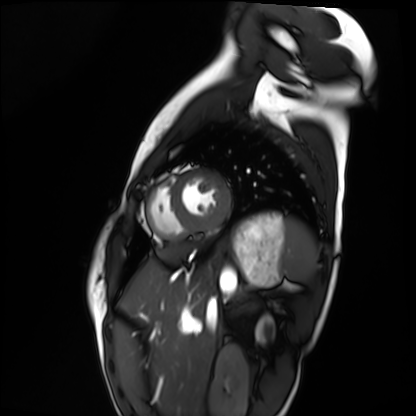
Q: What kind of scan is this?
A: Cardiac MRI.
Subject group: healthy volunteer.